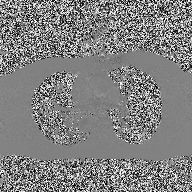
Case summary: 2D phase-contrast cine MRI of the ascending aorta, high-resolution GRAPPA acquisition.